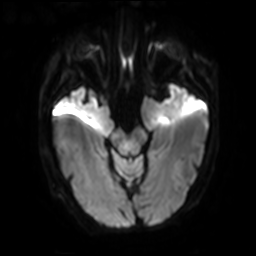
Q: What kind of scan is this?
A: 3 Tesla brain MRI.
Q: Series?
A: Diffusion-weighted imaging with SENSE (WIP).
Study: ring-enhancing brain masses.